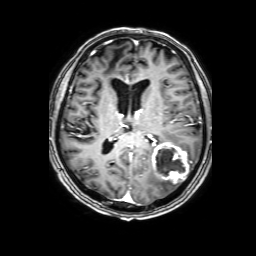
3 Tesla brain MRI. Series: 3D T1-weighted with SENSE. Study: ring-enhancing brain masses.